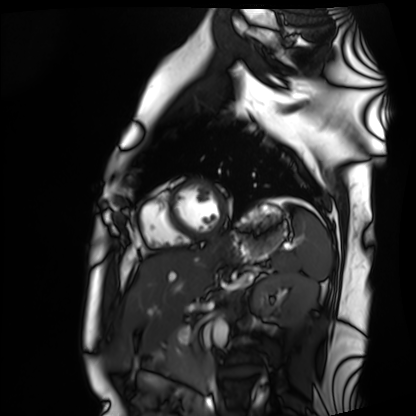
  modality: cardiac MRI
  cohort: healthy volunteer